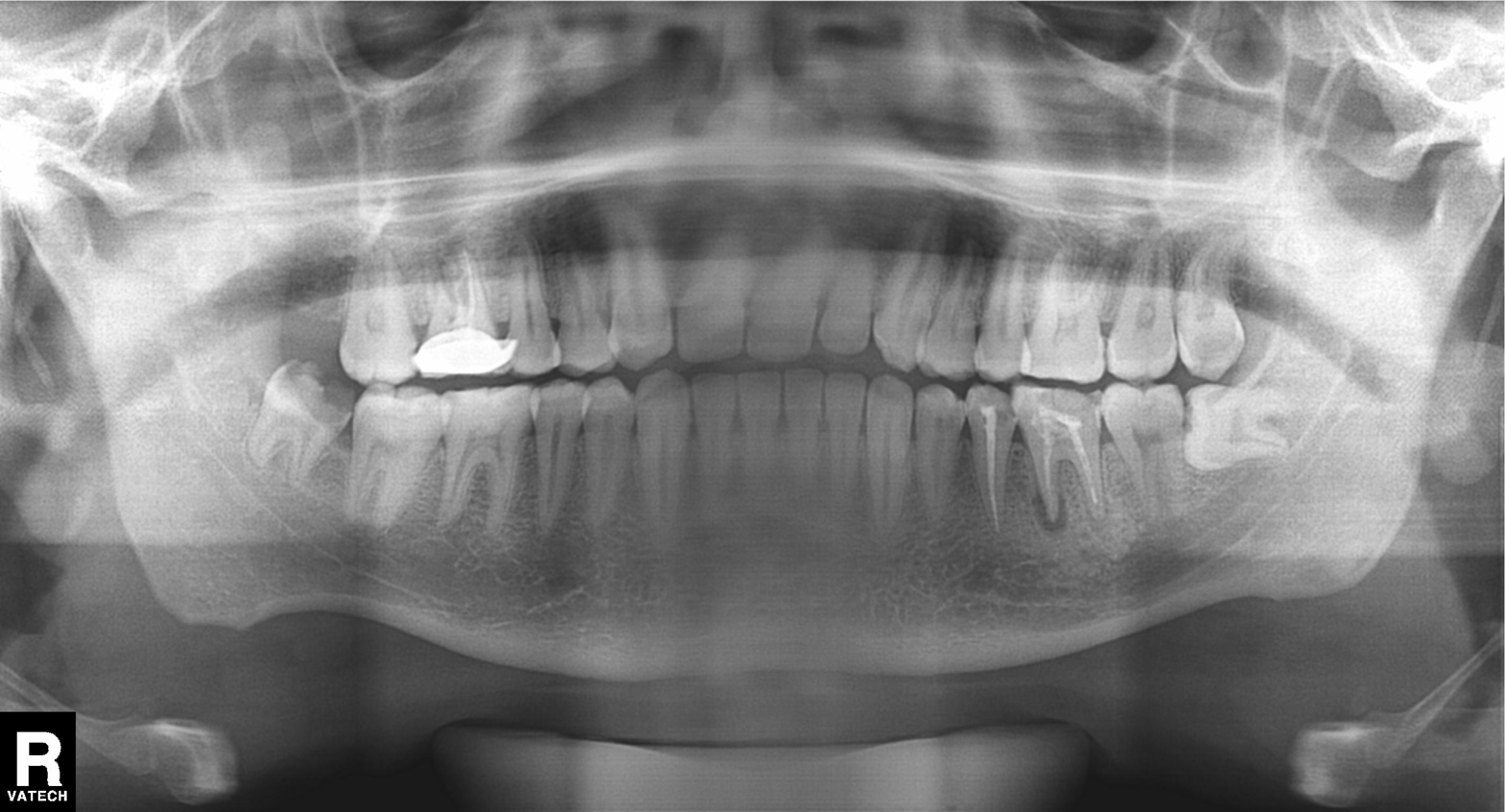
Summary:
Panoramic dental radiograph (orthopantomogram).
Assessment:
Alveolar bone loss.